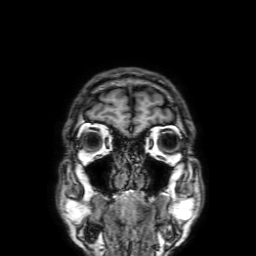
- modality · 3 Tesla brain MRI
- series · 3D T1-weighted with SENSE
- study · ring-enhancing brain masses